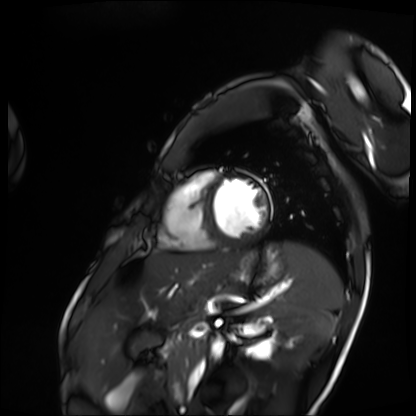
Cardiac MRI. Subject group: patient.